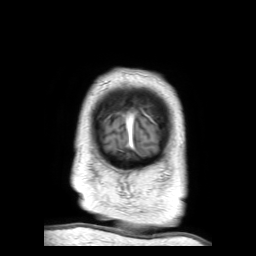
3 Tesla brain MRI. Series: 3D T1-weighted TFE with SENSE. Study: ring-enhancing brain masses.